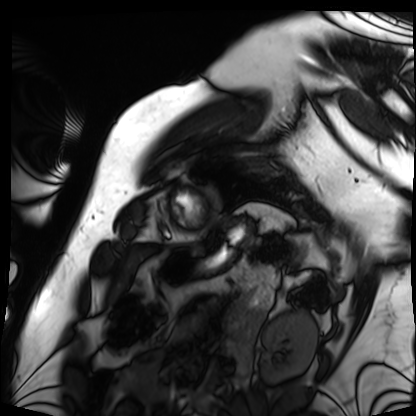
{"modality": "cardiac MRI", "cohort": "patient"}